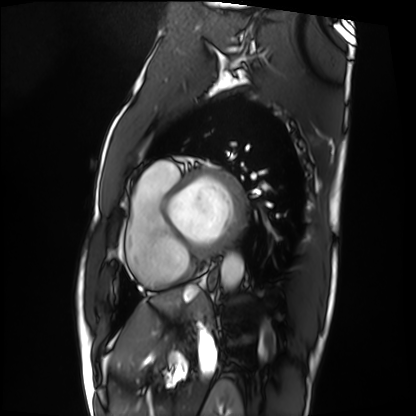
Cardiac MRI.
Subject group: patient.